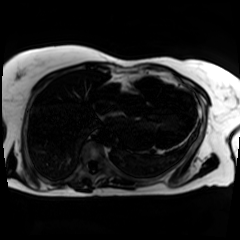
<case>
<modality>chemical-shift-encoded cardiac MRI</modality>
</case>